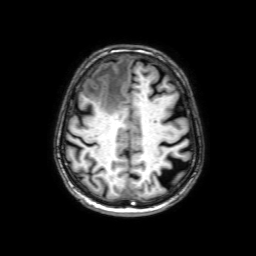
Case summary:
3 Tesla brain MRI. Study: ring-enhancing brain masses.